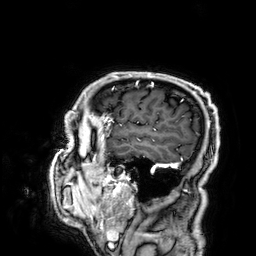
{"modality": {"type": "brain MRI", "field_strength": "3T"}, "series": "3D T1-weighted", "study_topic": "ring-enhancing brain masses"}